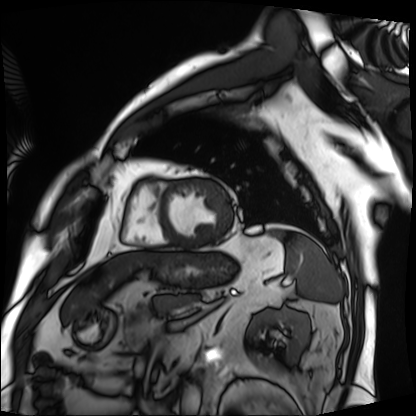
Cardiac MRI. Subject group: patient.